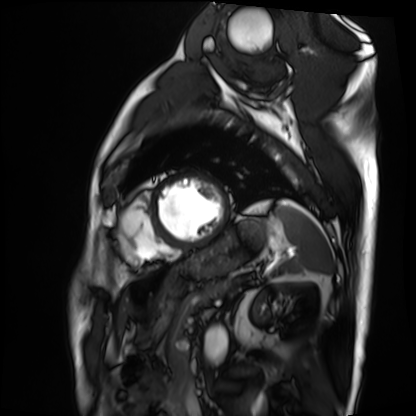
Cardiac MRI. Subject group: patient.